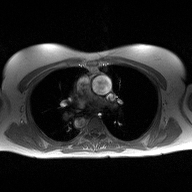
Clinical context: 2D phase-contrast cine MRI of the ascending aorta, high-resolution GRAPPA acquisition.